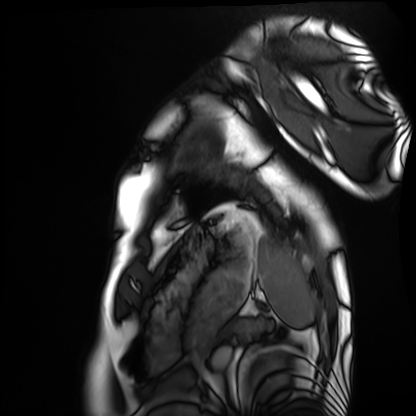
modality = cardiac MRI | subject group = healthy volunteer.